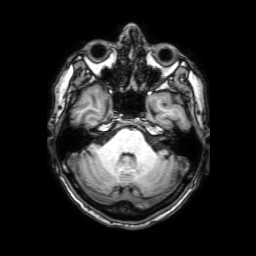
<record>
  <modality>
    <type>brain MRI</type>
    <field_strength>3T</field_strength>
  </modality>
  <series>3D T1-weighted with SENSE</series>
  <study_topic>ring-enhancing brain masses</study_topic>
</record>